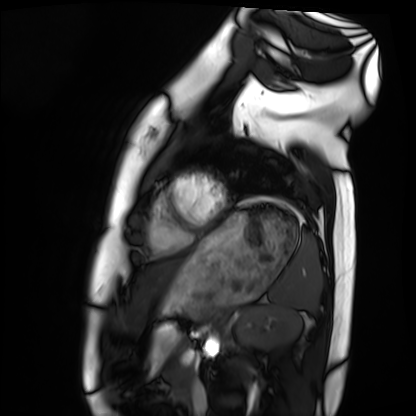
Summary: Cardiac MRI. Subject group: healthy volunteer.